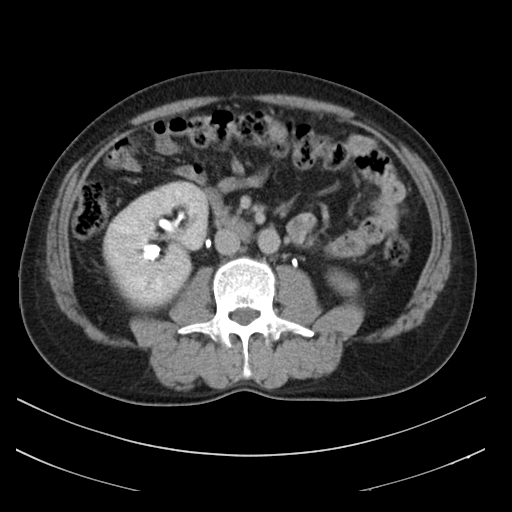
Case:
* modality: multiphase abdominal CT, liver, delayed phase
* patient: male, age 53
* history: cirrhosis, viral hepatitis